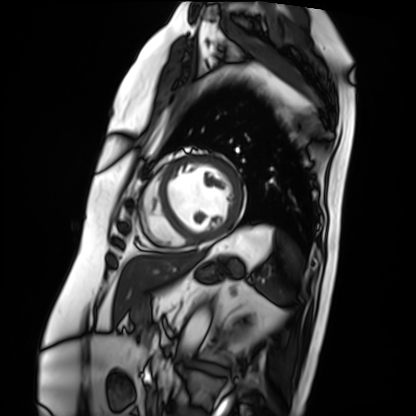
Cardiac MRI.
Subject group: patient.